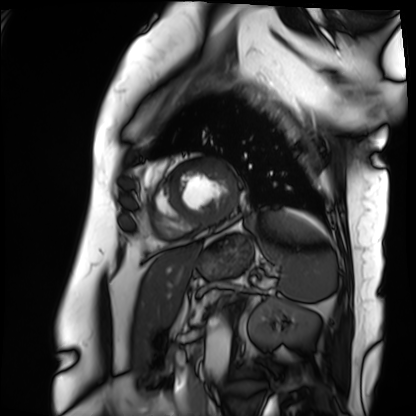
Cardiac MRI. Subject group: patient.